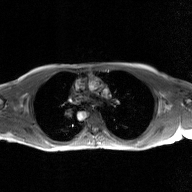
modality=2D phase-contrast cine MRI of the ascending aorta, GAN super-resolution reconstruction.